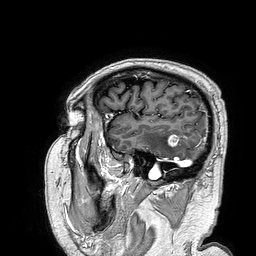
- modality · 3 Tesla brain MRI
- series · 3D T1-weighted turbo field echo
- study · ring-enhancing brain masses